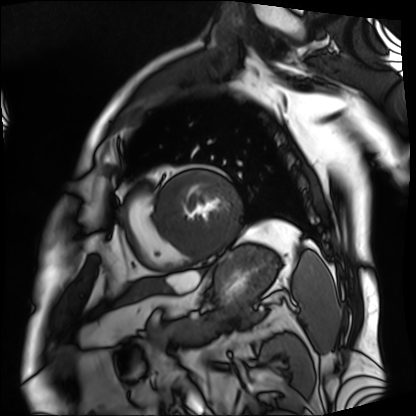
Clinical context: Cardiac MRI. Subject group: patient.